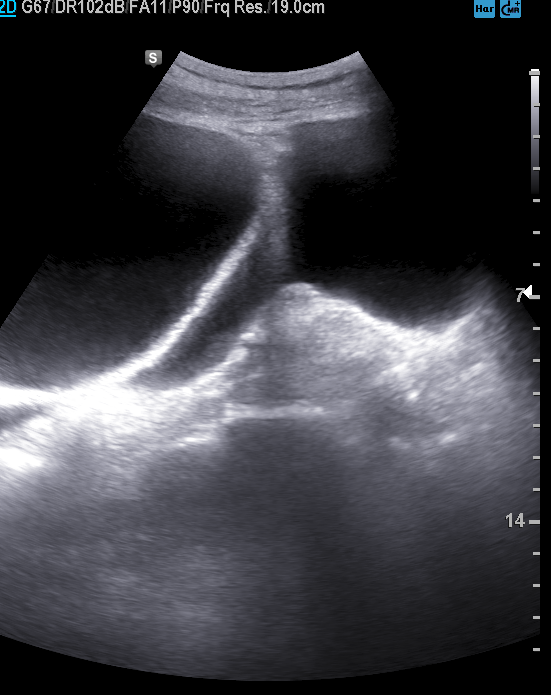
Q: What kind of scan is this?
A: Genitourinary ultrasound.